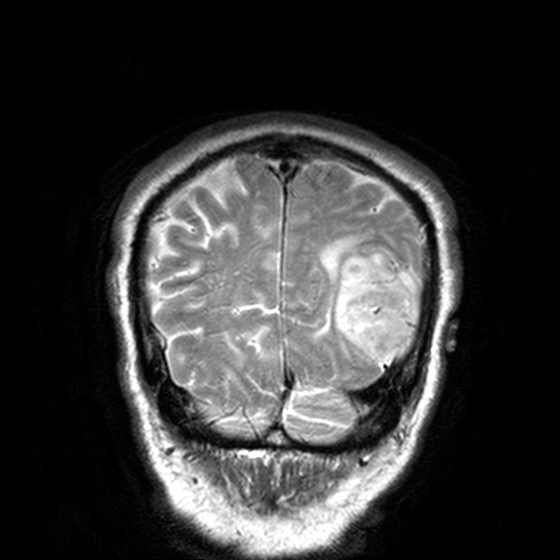
3 Tesla brain MRI. Series: T2-weighted turbo spin echo, 3 mm. Study: ring-enhancing brain masses.